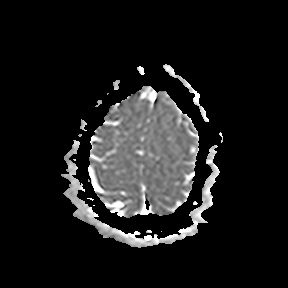
Clinical context: 3 Tesla brain MRI. Study: ring-enhancing brain masses.